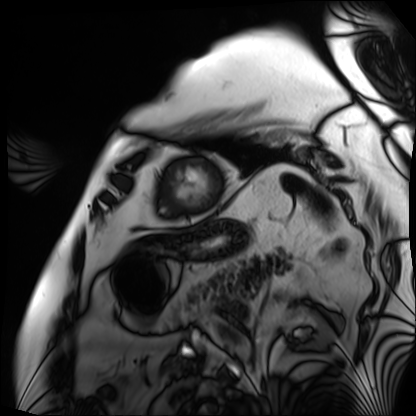
* modality · cardiac MRI
* subject group · patient